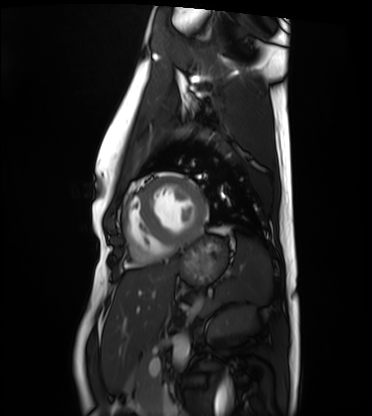
modality: cardiac MRI, subject group: healthy volunteer.